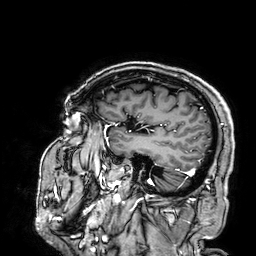
3 Tesla brain MRI.
Series: 3D T1-weighted.
Study: ring-enhancing brain masses.